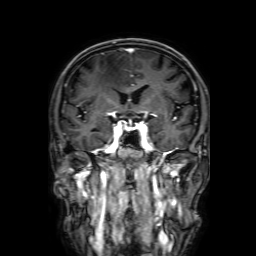
Case:
- modality · 3 Tesla brain MRI
- series · 3D T1-weighted with SENSE
- study · ring-enhancing brain masses